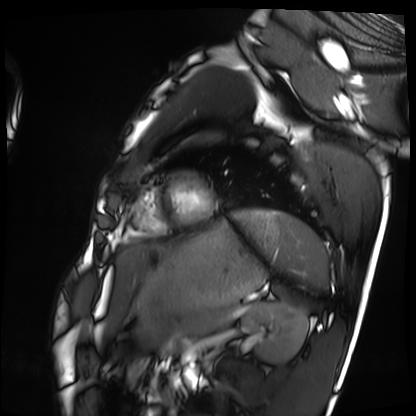
Case summary: Cardiac MRI. Subject group: healthy volunteer.